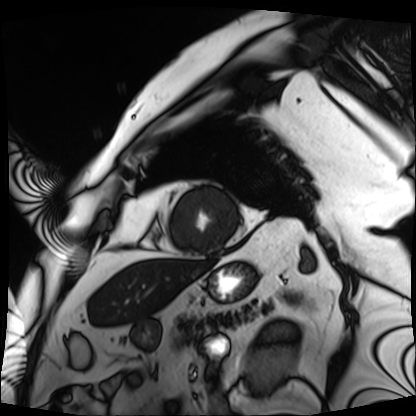
modality: cardiac MRI, subject group: patient.